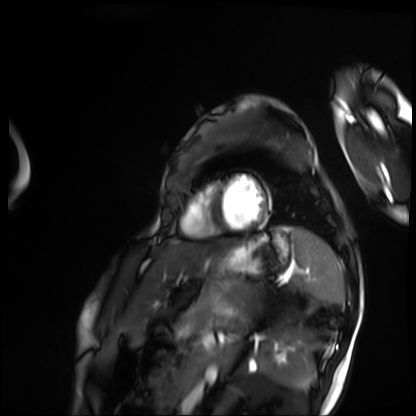
{"modality": "cardiac MRI", "cohort": "patient"}